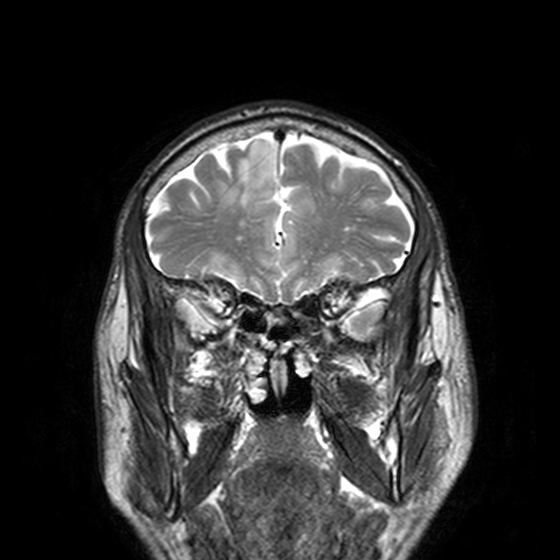
Case summary: 3 Tesla brain MRI. Series: T2-weighted turbo spin echo, 3 mm. Study: ring-enhancing brain masses.